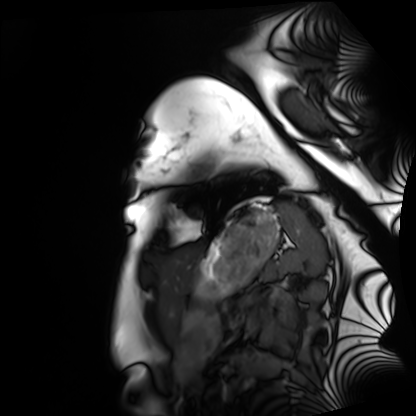
Q: What kind of scan is this?
A: Cardiac MRI.
Subject group: healthy volunteer.